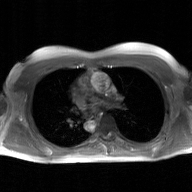
Case:
- modality — 2D phase-contrast cine MRI of the ascending aorta, GAN super-resolution reconstruction